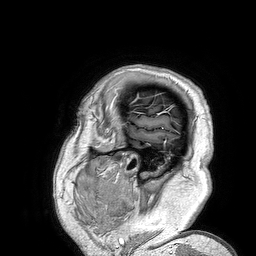
3 Tesla brain MRI. Series: 3D T1-weighted turbo field echo. Study: ring-enhancing brain masses.